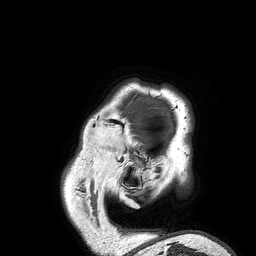
modality: 3 Tesla brain MRI
series: 3D T1-weighted turbo field echo
study: ring-enhancing brain masses